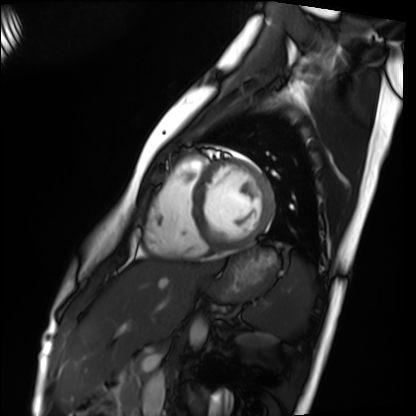
<record>
  <modality>cardiac MRI</modality>
  <cohort>healthy volunteer</cohort>
</record>